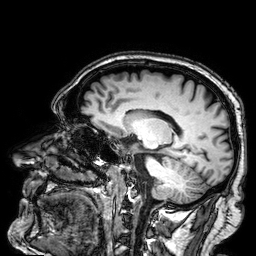
<scan>
  <modality>
    <type>brain MRI</type>
    <field_strength>3T</field_strength>
  </modality>
  <series>3D T1-weighted</series>
  <study_topic>ring-enhancing brain masses</study_topic>
</scan>